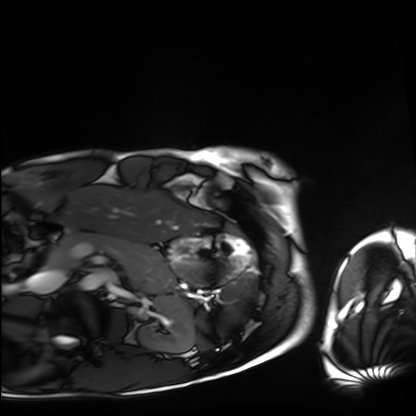
Cardiac MRI. Subject group: healthy volunteer.